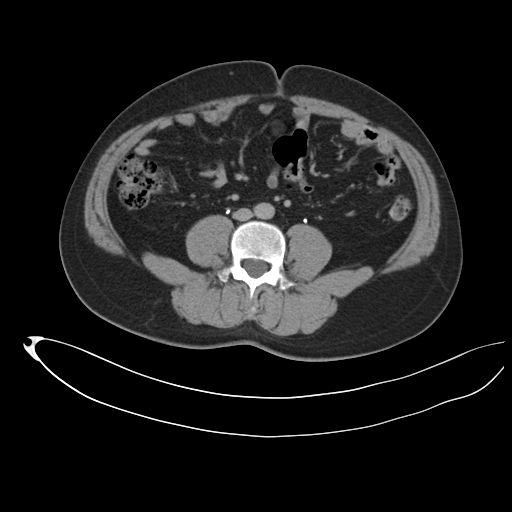
Summary:
Multiphase abdominal CT, liver, delayed phase.